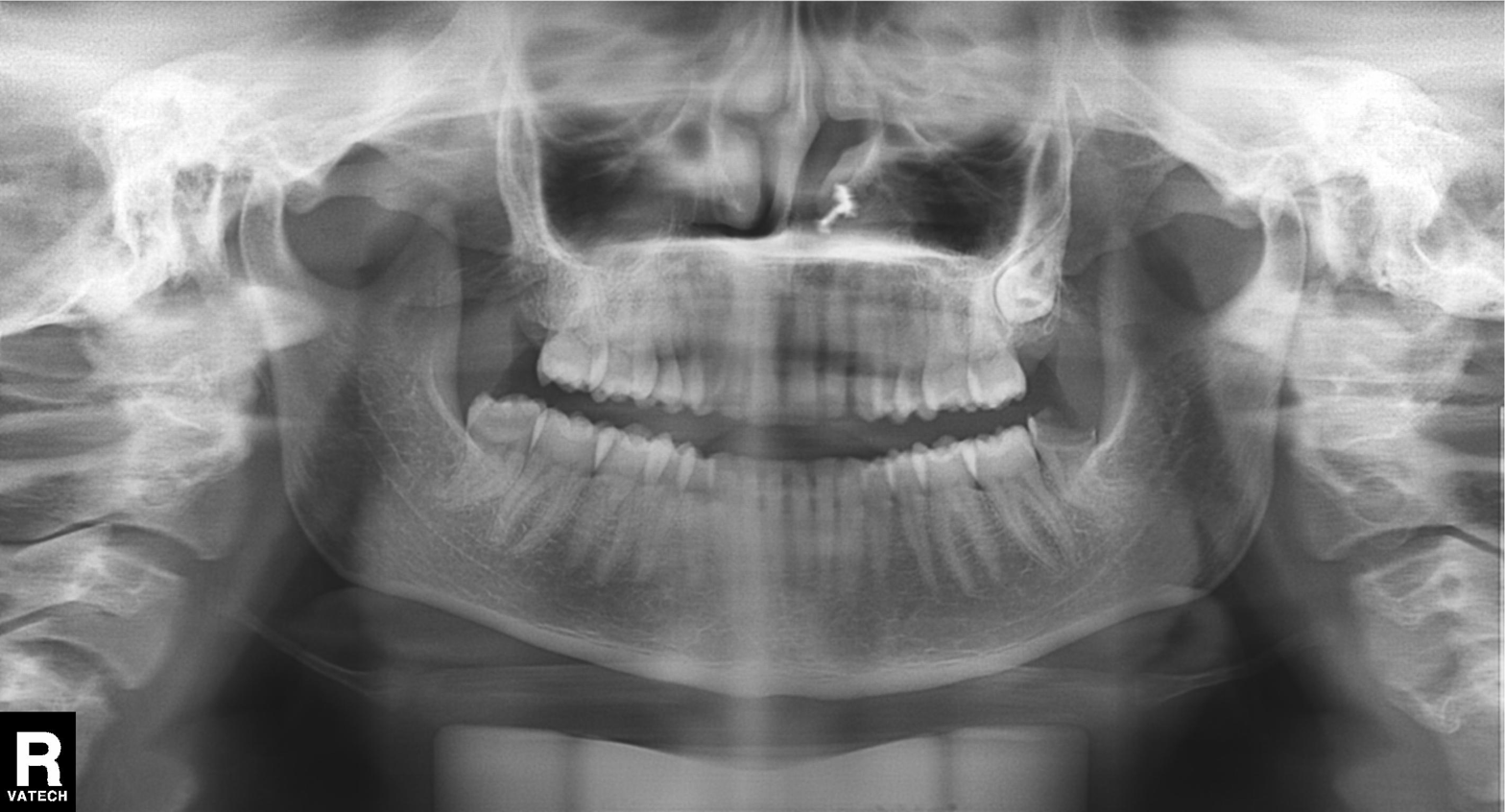
modality: panoramic dental radiograph (orthopantomogram) | finding: alveolar bone loss.